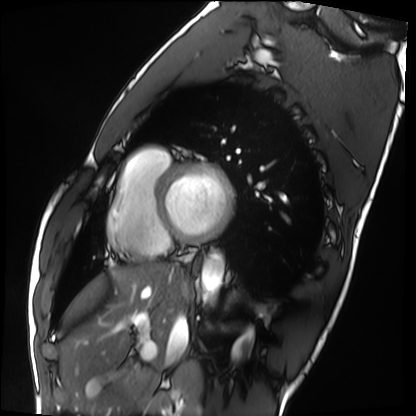
Summary: Cardiac MRI. Subject group: healthy volunteer.